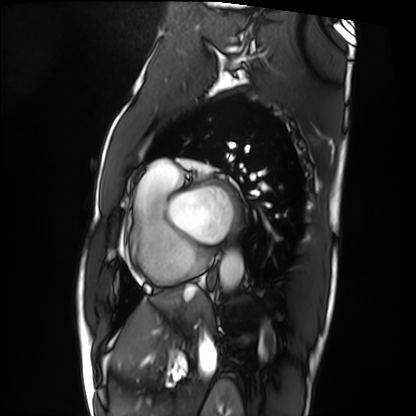
modality: cardiac MRI; subject group: patient.